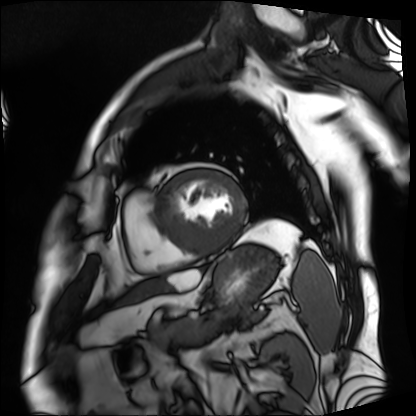
modality=cardiac MRI
subject group=patient